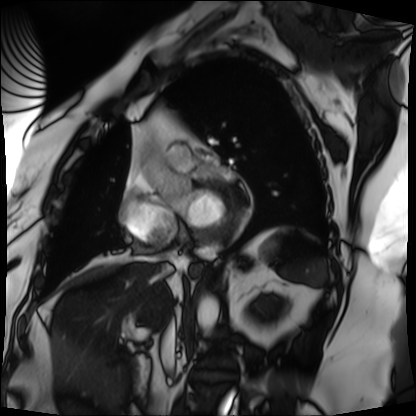
Clinical context: Cardiac MRI. Subject group: patient.